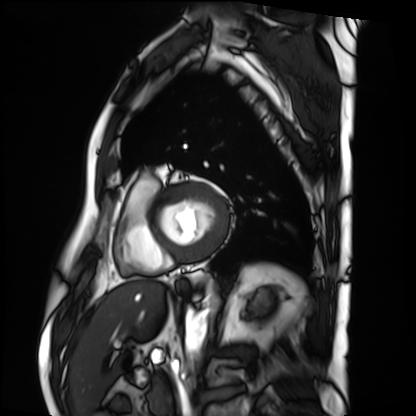
Cardiac MRI. Subject group: patient.